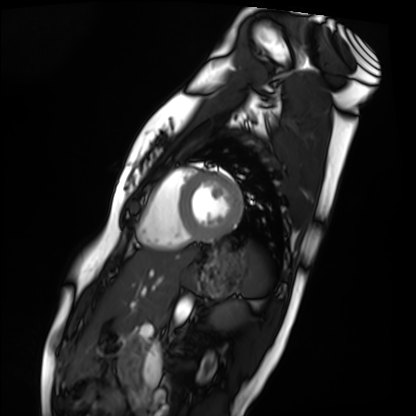
Cardiac MRI. Subject group: healthy volunteer.